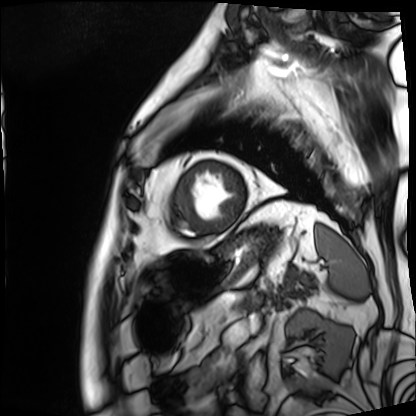
Cardiac MRI.
Subject group: patient.